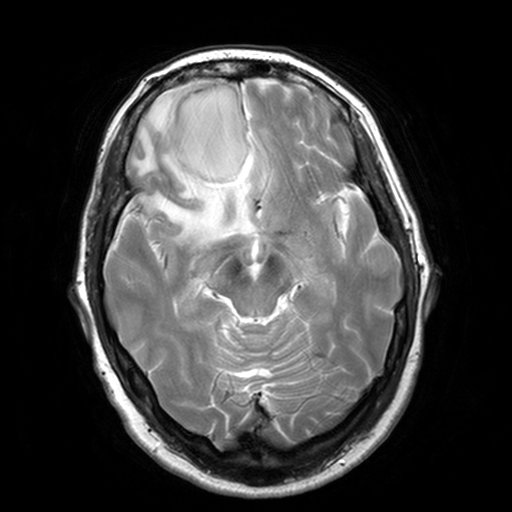
3 Tesla brain MRI.
Series: T2-weighted turbo spin echo, 3 mm.
Study: ring-enhancing brain masses.